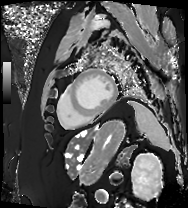
{
  "modality": "cardiac MRI",
  "cohort": "patient"
}